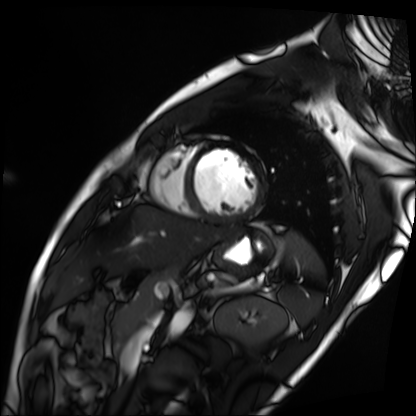
Cardiac MRI.
Subject group: patient.